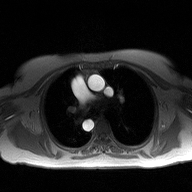
{"modality": {"type": "2D phase-contrast cine MRI", "region": "ascending aorta", "reconstruction": "high-resolution GRAPPA acquisition"}}